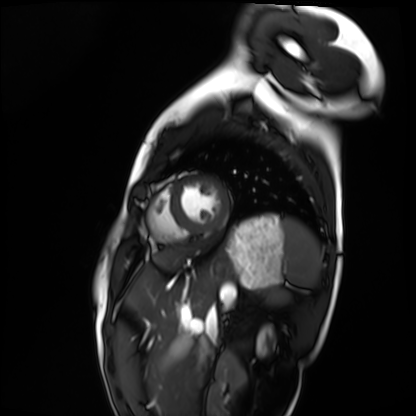
Cardiac MRI. Subject group: healthy volunteer.